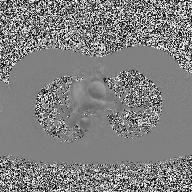
modality=2D phase-contrast cine MRI of the ascending aorta